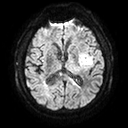
modality=3 Tesla brain MRI; series=diffusion tensor imaging (medium iso); study=ring-enhancing brain masses.